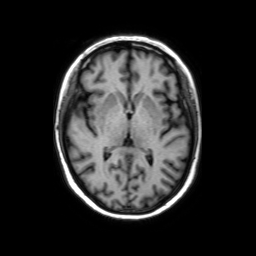
Q: What kind of scan is this?
A: 3 Tesla brain MRI.
Q: Series?
A: Axial without contrast.
Study: ring-enhancing brain masses.